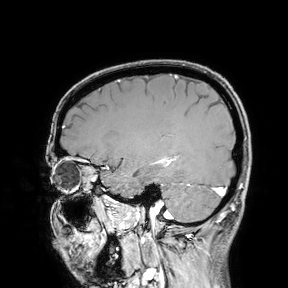
3 Tesla brain MRI. Study: ring-enhancing brain masses.